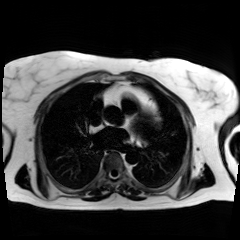
Summary: Chemical-shift-encoded cardiac MRI.